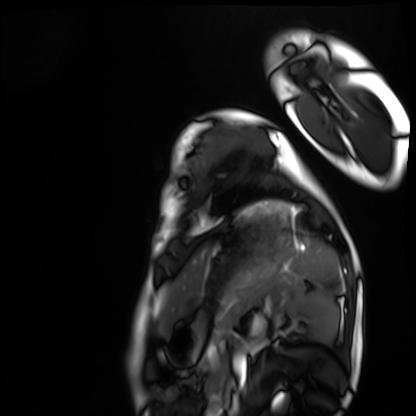
Cardiac MRI. Subject group: healthy volunteer.